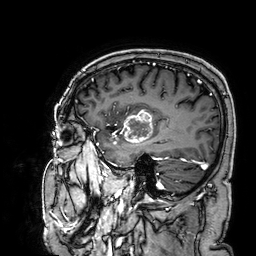
3 Tesla brain MRI. Series: 3D T1-weighted. Study: ring-enhancing brain masses.